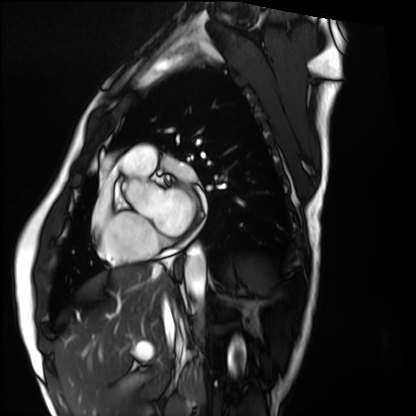
Case summary: Cardiac MRI. Subject group: healthy volunteer.